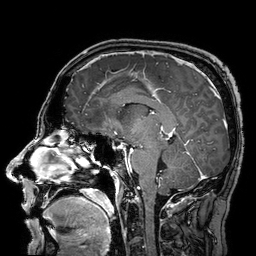
3 Tesla brain MRI. Series: 3D T1-weighted turbo field echo with SENSE. Study: ring-enhancing brain masses.